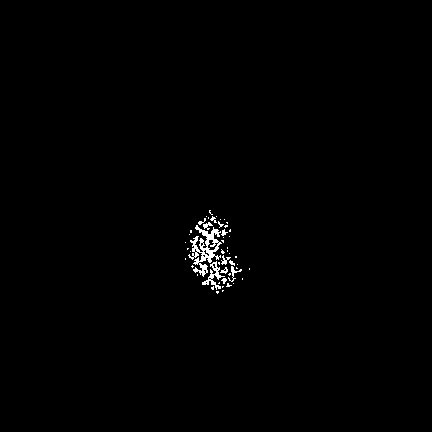
3 Tesla brain MRI.
Series: FLAIR VISTA with SENSE.
Study: ring-enhancing brain masses.